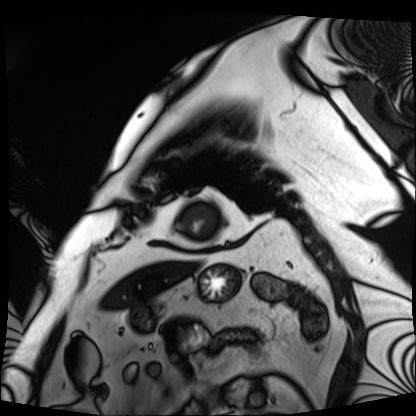
Cardiac MRI. Subject group: patient.